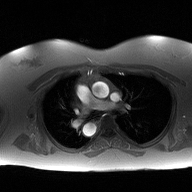
Summary:
2D phase-contrast cine MRI of the ascending aorta, high-resolution GRAPPA acquisition.